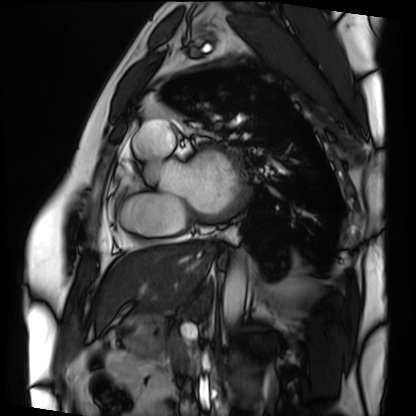
  modality: cardiac MRI
  cohort: patient